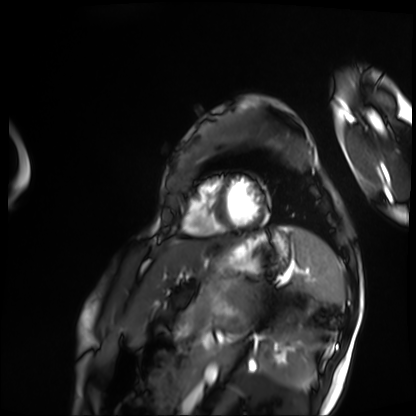
Cardiac MRI.
Subject group: patient.